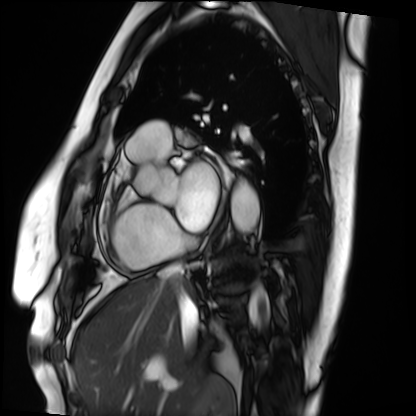
<study>
<modality>cardiac MRI</modality>
<cohort>patient</cohort>
</study>